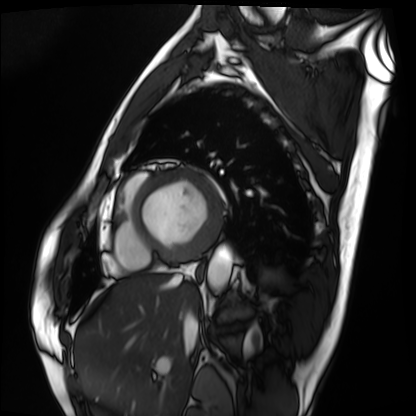
Cardiac MRI.
Subject group: patient.